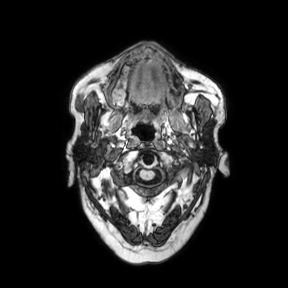
– modality · 3 Tesla brain MRI
– series · axial
– study · ring-enhancing brain masses